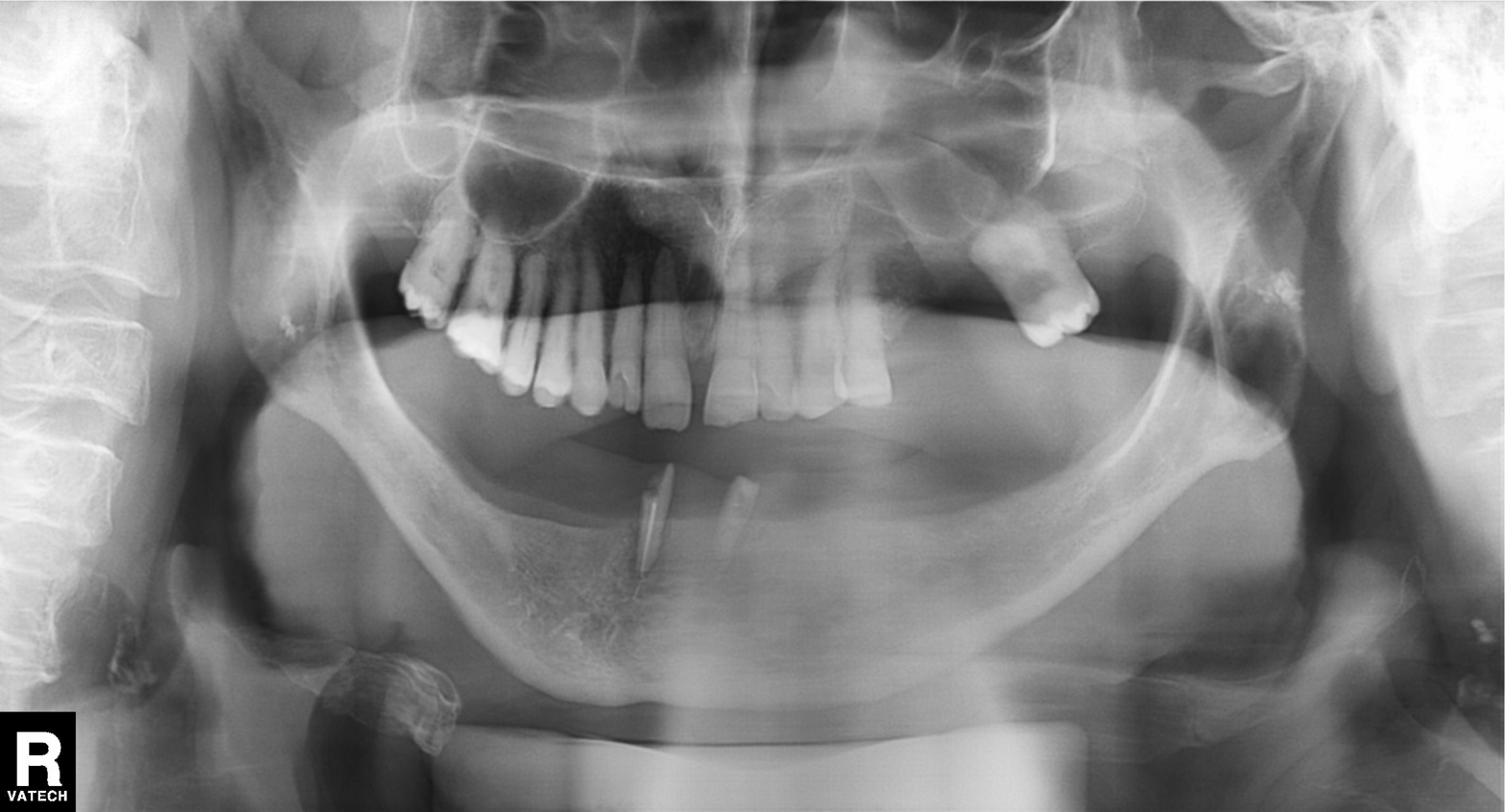
Panoramic dental radiograph (orthopantomogram). Finding: tooth impaction.